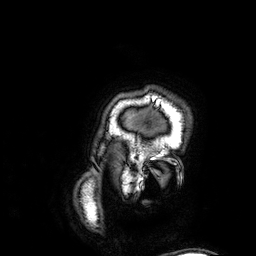
3 Tesla brain MRI.
Series: 3D T1-weighted.
Study: ring-enhancing brain masses.